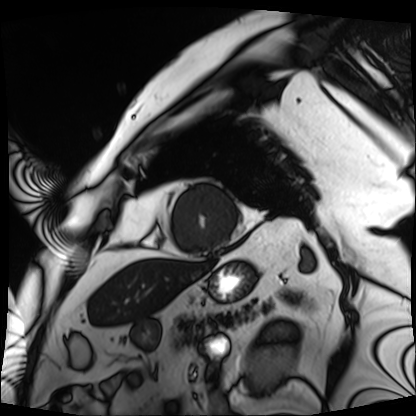
Cardiac MRI.
Subject group: patient.